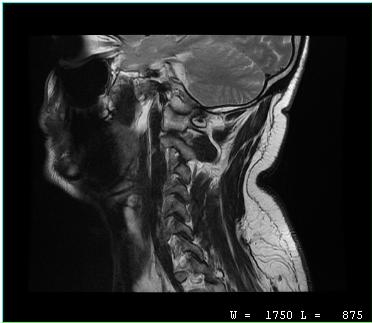
modality=MRI of the cervical spine; study=cervical spondylosis.